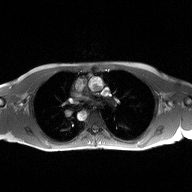
Case:
• modality — 2D phase-contrast cine MRI of the ascending aorta